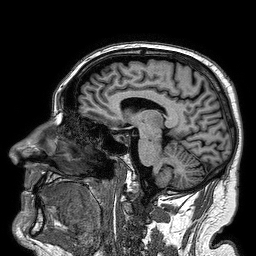
3 Tesla brain MRI. Series: 3D T1-weighted turbo field echo. Study: ring-enhancing brain masses.